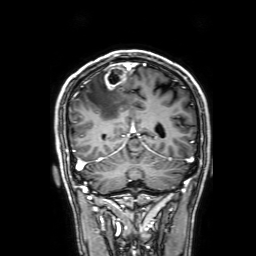
– modality: 3 Tesla brain MRI
– series: 3D T1-weighted with SENSE
– study: ring-enhancing brain masses